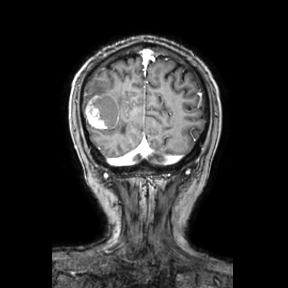
3 Tesla brain MRI.
Series: coronal.
Study: ring-enhancing brain masses.